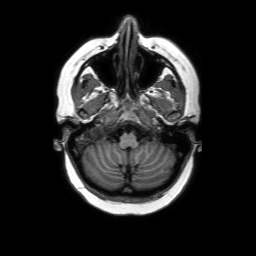
3 Tesla brain MRI.
Series: axial without contrast.
Study: ring-enhancing brain masses.